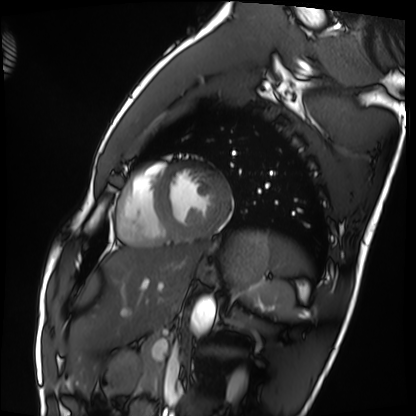
Summary: Cardiac MRI. Subject group: healthy volunteer.